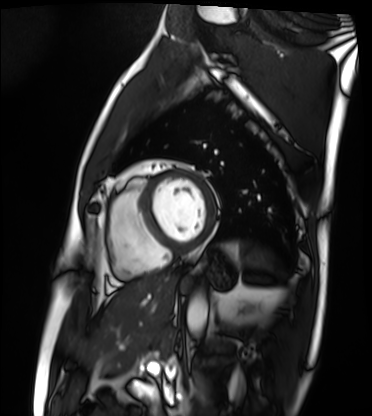
Cardiac MRI.
Subject group: patient.